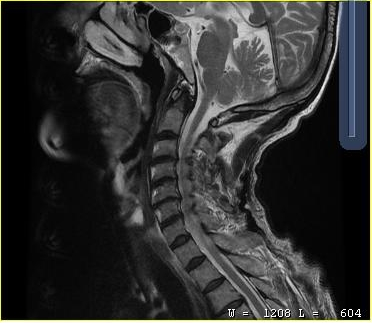
MRI of the cervical spine. Study: cervical spondylosis.